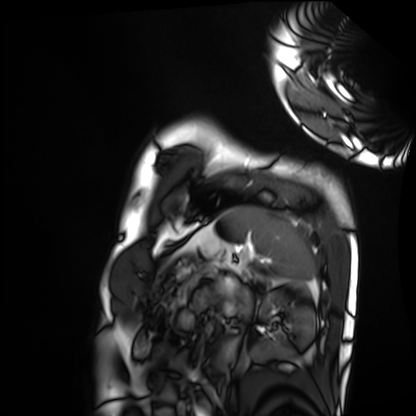
modality: cardiac MRI, subject group: healthy volunteer.